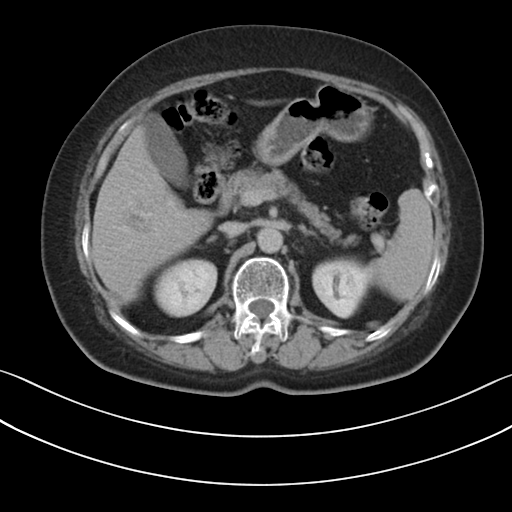
– modality — multiphase abdominal CT, liver, delayed phase
– patient — female, age 67
– history — prior chemotherapy